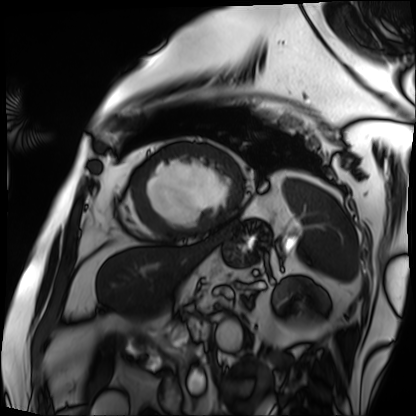
Cardiac MRI. Subject group: patient.